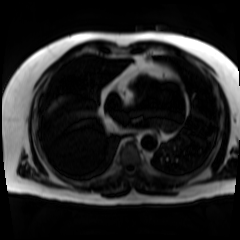
| field | value |
|---|---|
| modality | chemical-shift-encoded cardiac MRI |